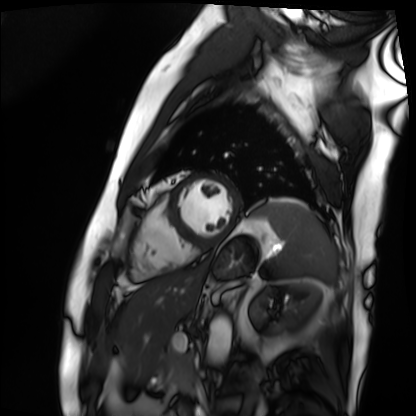
  modality: cardiac MRI
  cohort: patient